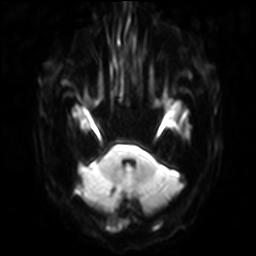
3 Tesla brain MRI. Study: ring-enhancing brain masses.